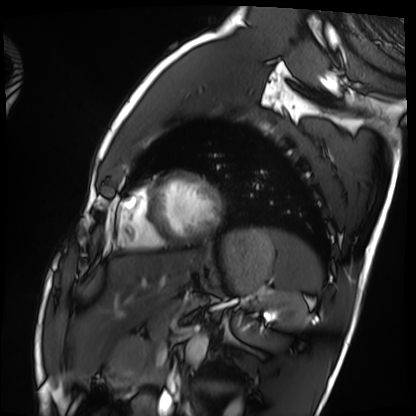
Summary: Cardiac MRI. Subject group: healthy volunteer.